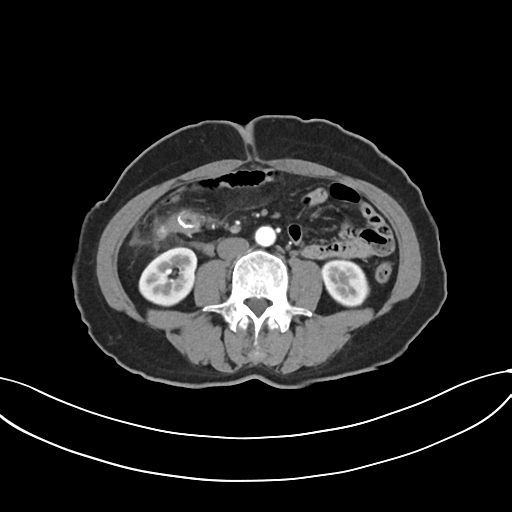
Multiphase abdominal CT, liver, arterial phase.
Patient: female, age 59.